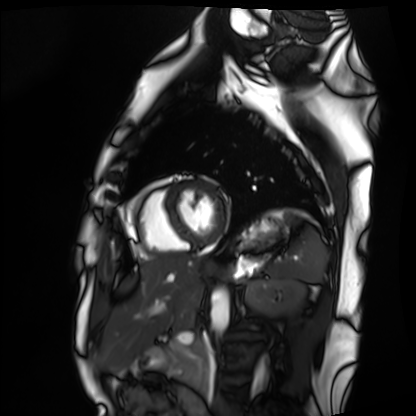
Cardiac MRI. Subject group: healthy volunteer.